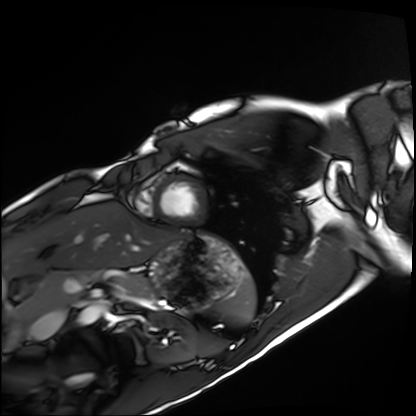
modality = cardiac MRI
subject group = healthy volunteer